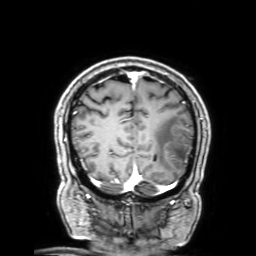
3 Tesla brain MRI.
Series: 3D T1-weighted with SENSE.
Study: ring-enhancing brain masses.